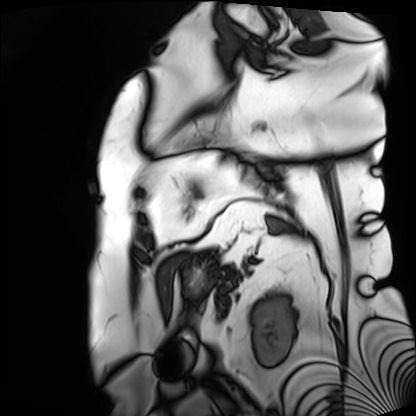
- modality — cardiac MRI
- subject group — patient